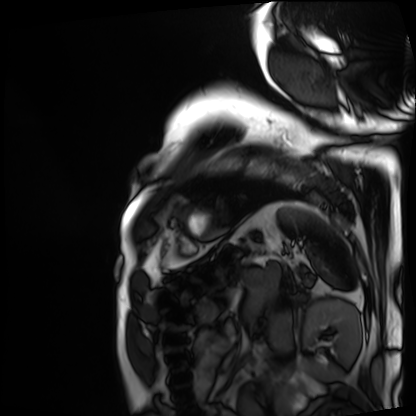
modality: cardiac MRI, subject group: patient.